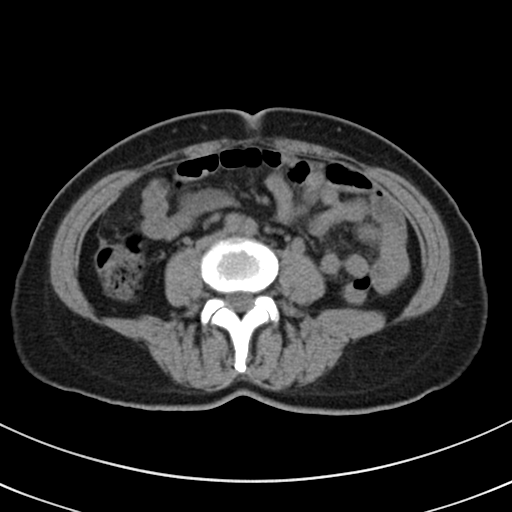
modality: multiphase abdominal CT, liver, non-contrast phase; patient: female, age 50.